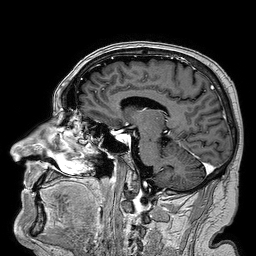
3 Tesla brain MRI. Series: 3D T1-weighted turbo field echo. Study: ring-enhancing brain masses.